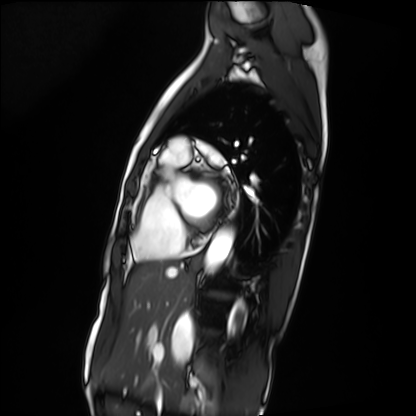
Case summary: Cardiac MRI. Subject group: patient.